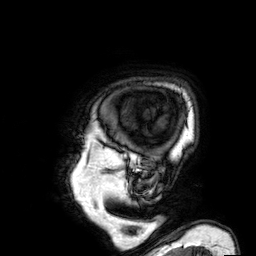
  modality:
    type: brain MRI
    field_strength: 3T
  series: 3D T1-weighted
  study_topic: ring-enhancing brain masses